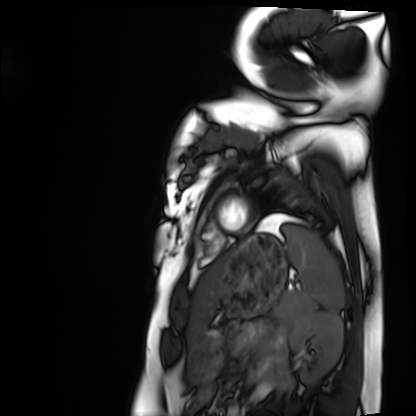
<case>
<modality>cardiac MRI</modality>
<cohort>healthy volunteer</cohort>
</case>